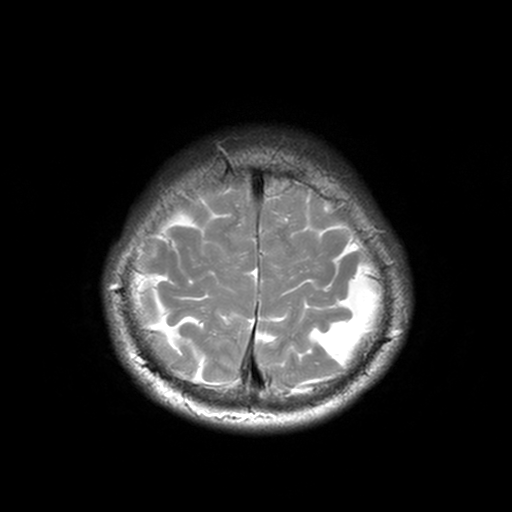
Case summary: 3 Tesla brain MRI. Series: T2-weighted turbo spin echo, 3 mm. Study: ring-enhancing brain masses.